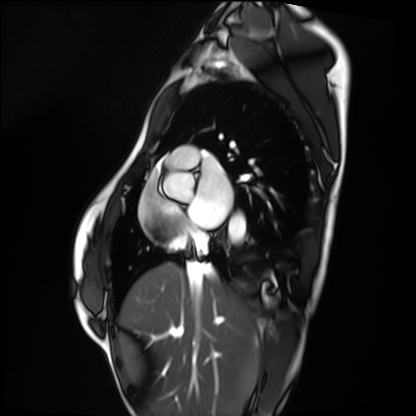
Case:
- modality · cardiac MRI
- subject group · healthy volunteer